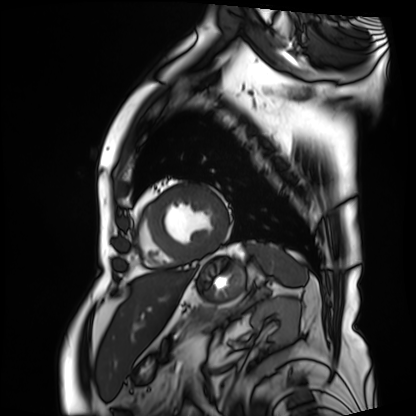
Cardiac MRI.
Subject group: patient.